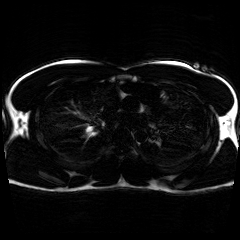
modality: chemical-shift-encoded cardiac MRI.